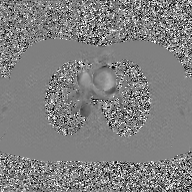
modality = 2D phase-contrast cine MRI of the ascending aorta, GAN super-resolution reconstruction.